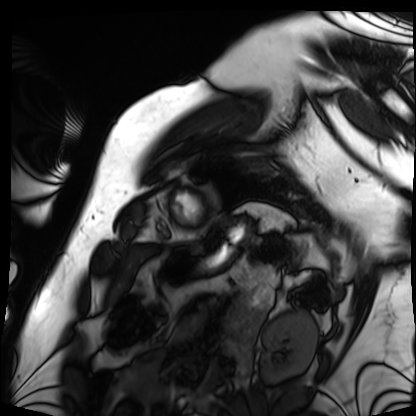
modality = cardiac MRI; subject group = patient.